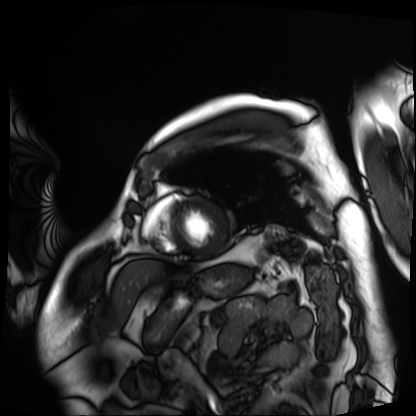
Cardiac MRI. Subject group: patient.